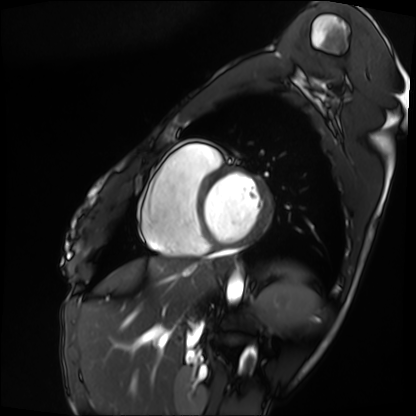
| field | value |
|---|---|
| modality | cardiac MRI |
| subject group | patient |